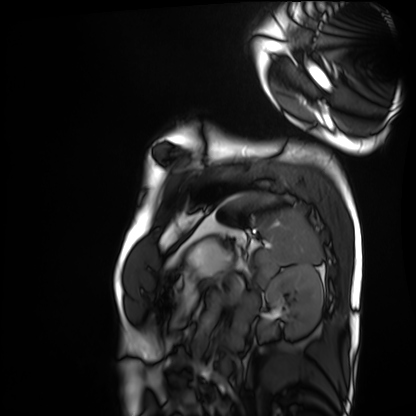
<record>
  <modality>cardiac MRI</modality>
  <cohort>healthy volunteer</cohort>
</record>